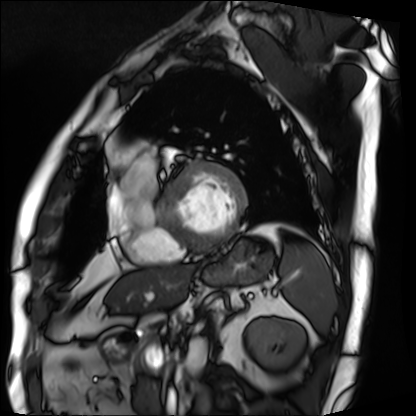
Case summary: Cardiac MRI. Subject group: patient.